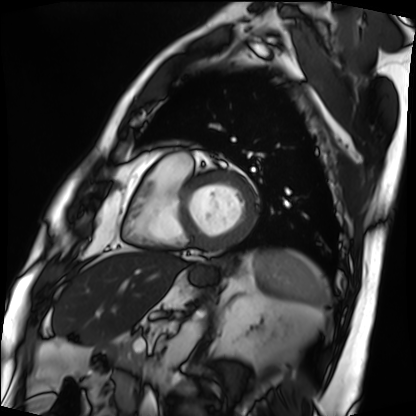
Clinical context:
Cardiac MRI. Subject group: patient.